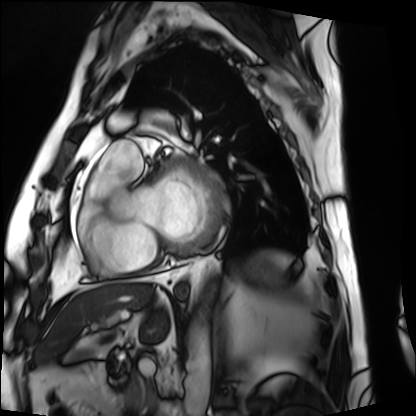
Summary:
Cardiac MRI. Subject group: patient.